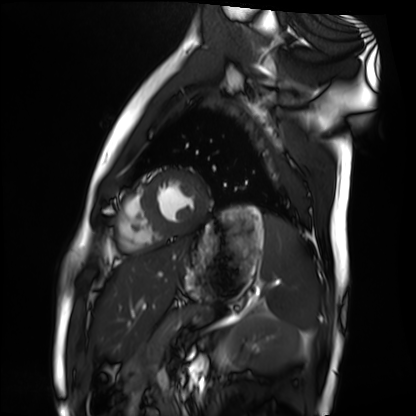
Cardiac MRI. Subject group: healthy volunteer.